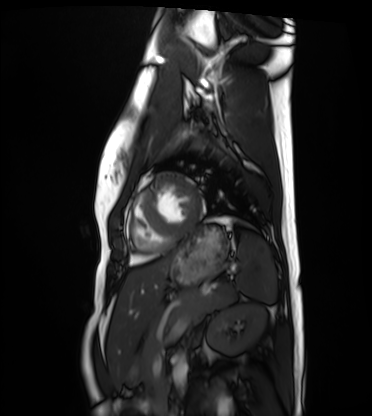
Q: What kind of scan is this?
A: Cardiac MRI.
Subject group: healthy volunteer.